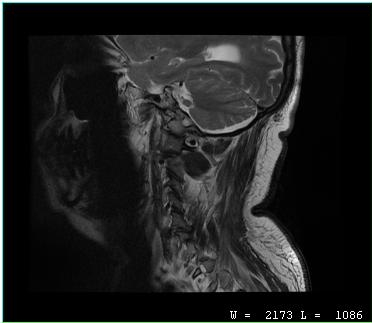
Case:
– modality — MRI of the cervical spine
– study — cervical spondylosis